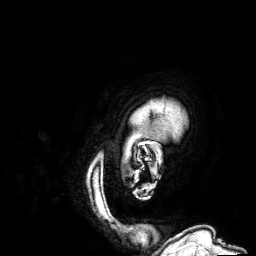
Q: What kind of scan is this?
A: 3 Tesla brain MRI.
Q: Series?
A: 3D T1-weighted.
Study: ring-enhancing brain masses.